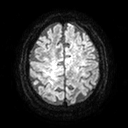
Q: What kind of scan is this?
A: 3 Tesla brain MRI.
Q: Series?
A: Diffusion tensor imaging (medium iso).
Study: ring-enhancing brain masses.